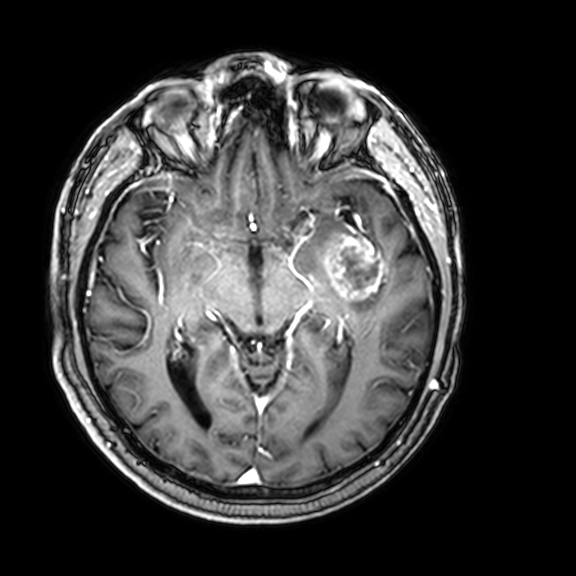
3 Tesla brain MRI. Series: 3D T1-weighted with CLEAR. Study: ring-enhancing brain masses.